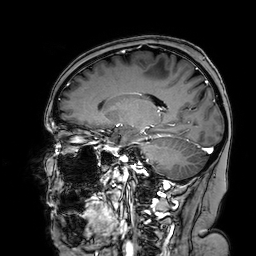
modality = 3 Tesla brain MRI | series = 3D T1-weighted turbo field echo with SENSE | study = ring-enhancing brain masses.